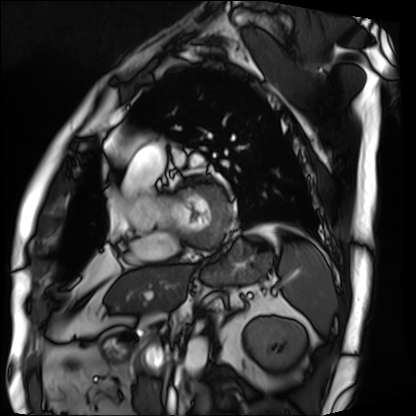
Cardiac MRI. Subject group: patient.